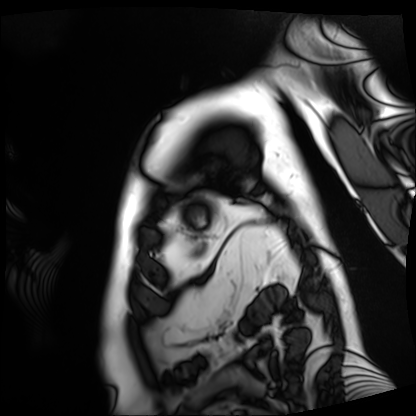
| field | value |
|---|---|
| modality | cardiac MRI |
| subject group | patient |